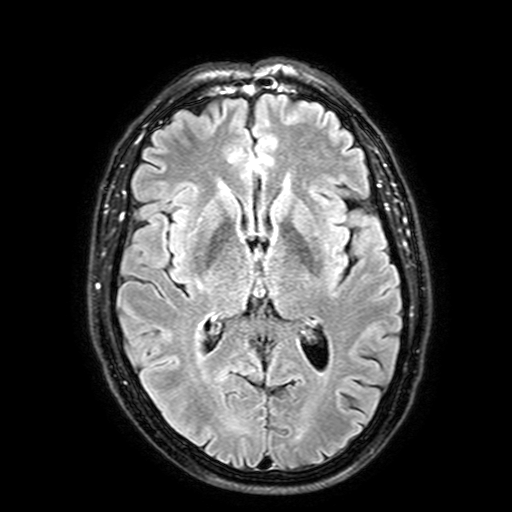
3 Tesla brain MRI.
Series: FLAIR with SPAIR, 3 mm.
Study: ring-enhancing brain masses.